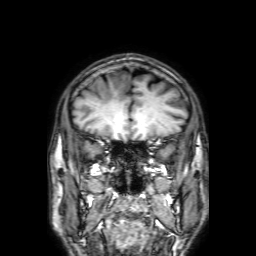
3 Tesla brain MRI.
Series: 3D T1-weighted with SENSE.
Study: ring-enhancing brain masses.